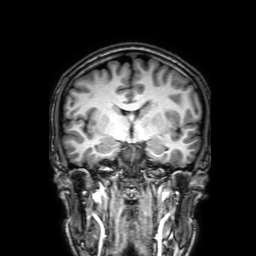
3 Tesla brain MRI. Series: 3D T1-weighted with SENSE. Study: ring-enhancing brain masses.